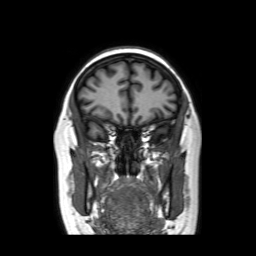
Q: What kind of scan is this?
A: 3 Tesla brain MRI.
Q: Series?
A: Coronal without contrast.
Study: ring-enhancing brain masses.